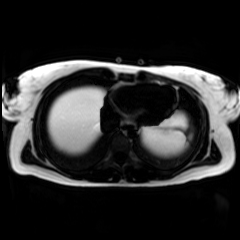
modality — chemical-shift-encoded cardiac MRI.